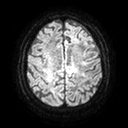
3 Tesla brain MRI. Series: diffusion tensor imaging (medium iso). Study: ring-enhancing brain masses.